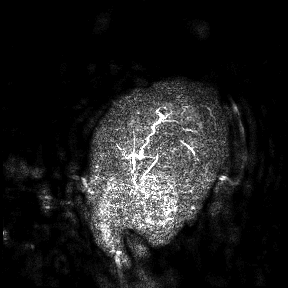
Clinical context:
3 Tesla brain MRI. Study: ring-enhancing brain masses.